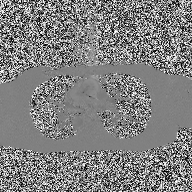
• modality — 2D phase-contrast cine MRI of the ascending aorta